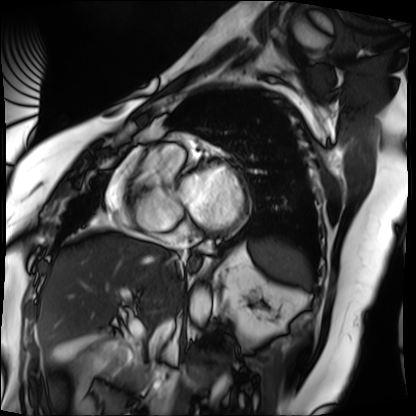
Cardiac MRI. Subject group: patient.